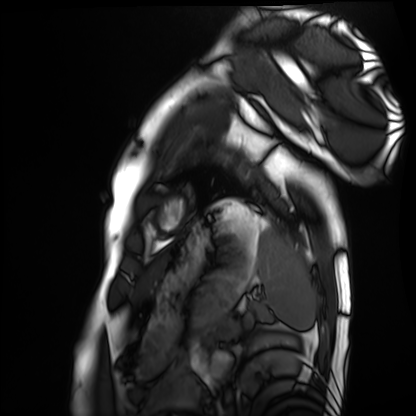
Summary: Cardiac MRI. Subject group: healthy volunteer.